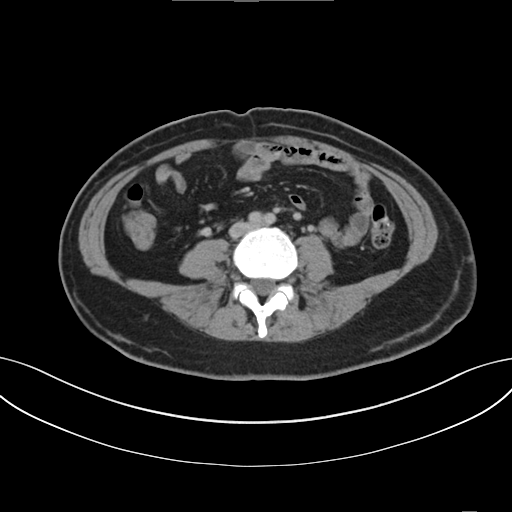
Clinical context: Multiphase abdominal CT, liver, delayed phase.